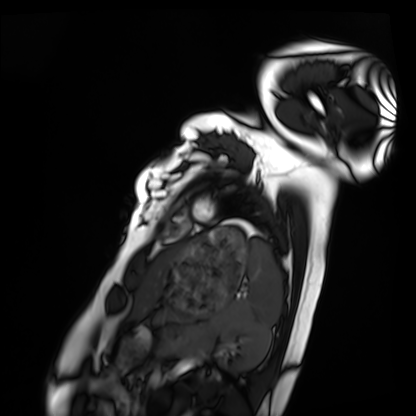
<study>
<modality>cardiac MRI</modality>
<cohort>healthy volunteer</cohort>
</study>